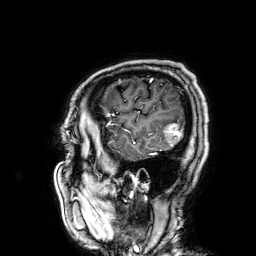
• modality: 3 Tesla brain MRI
• series: 3D T1-weighted
• study: ring-enhancing brain masses